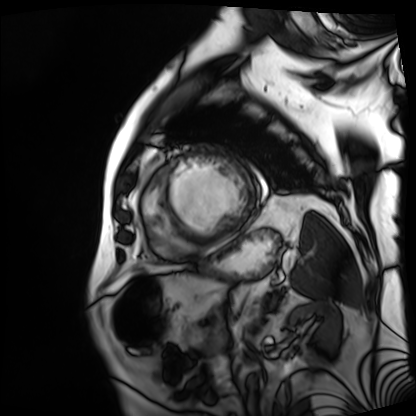
Case summary:
Cardiac MRI. Subject group: patient.